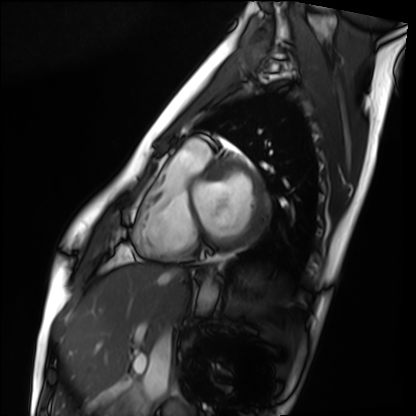
Cardiac MRI. Subject group: healthy volunteer.